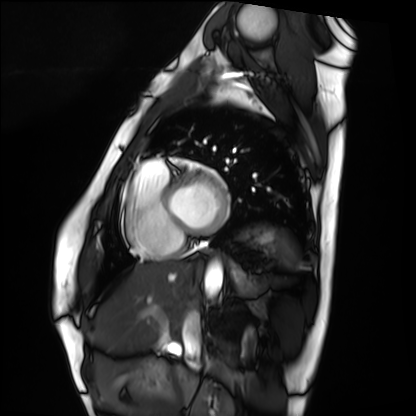
Case summary: Cardiac MRI. Subject group: healthy volunteer.